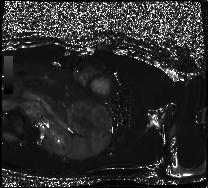
| field | value |
|---|---|
| modality | cardiac MRI |
| subject group | healthy volunteer |